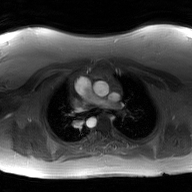
modality: 2D phase-contrast cine MRI of the ascending aorta, GAN super-resolution reconstruction.